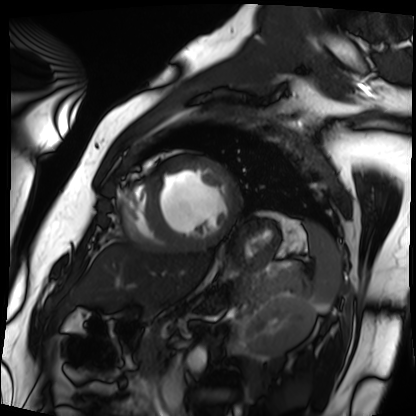
Q: What kind of scan is this?
A: Cardiac MRI.
Subject group: patient.